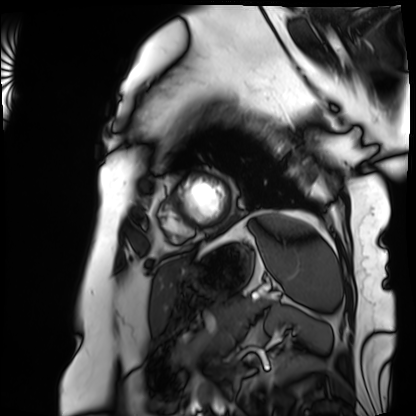
* modality — cardiac MRI
* subject group — patient